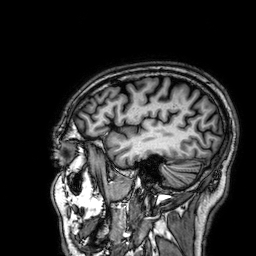
3 Tesla brain MRI.
Series: 3D T1-weighted.
Study: ring-enhancing brain masses.